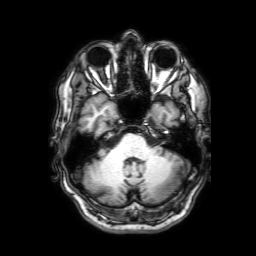
Q: What kind of scan is this?
A: 3 Tesla brain MRI.
Q: Series?
A: 3D T1-weighted with SENSE.
Study: ring-enhancing brain masses.